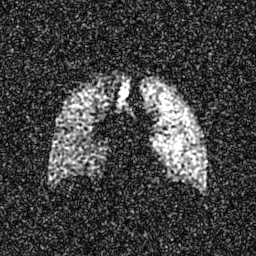
| field | value |
|---|---|
| modality | hyperpolarized 129Xe ventilation MRI of the lungs |
| SNR level | 7 of 8 (the deposit holds this scan as its native image and as seven SNR-degraded versions) |